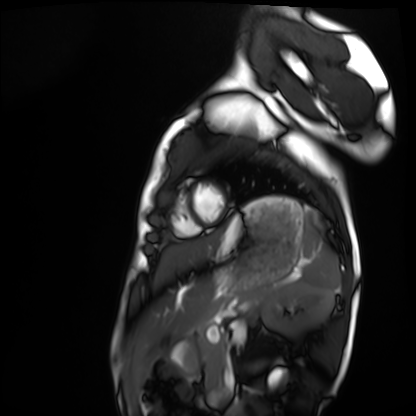
{
  "modality": "cardiac MRI",
  "cohort": "healthy volunteer"
}